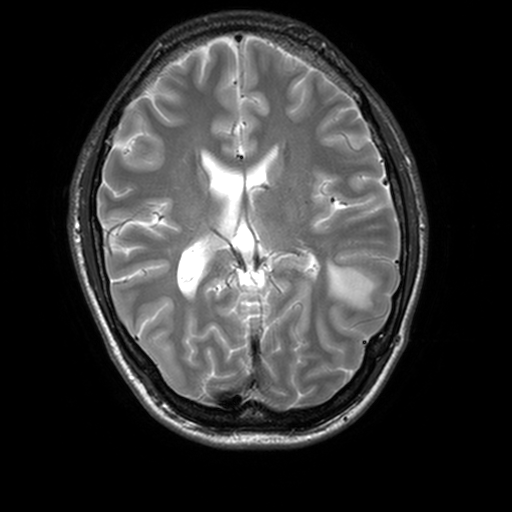
3 Tesla brain MRI. Series: T2-weighted turbo spin echo, 3 mm. Study: ring-enhancing brain masses.